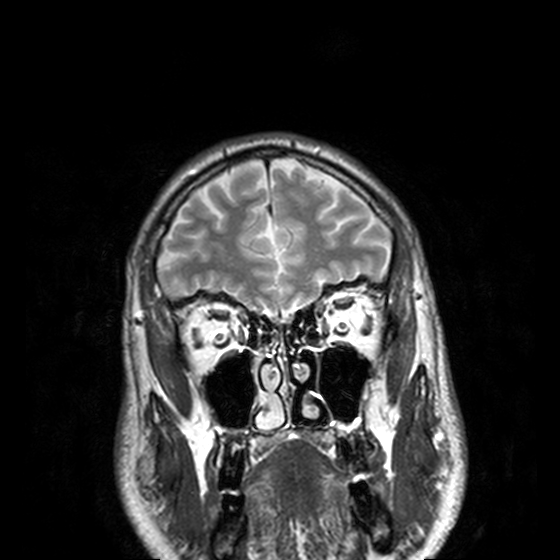
Q: What kind of scan is this?
A: 3 Tesla brain MRI.
Q: Series?
A: T2-weighted turbo spin echo, 3 mm.
Study: ring-enhancing brain masses.